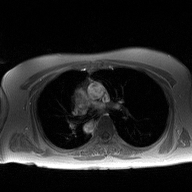
Clinical context:
2D phase-contrast cine MRI of the ascending aorta, high-resolution GRAPPA acquisition.